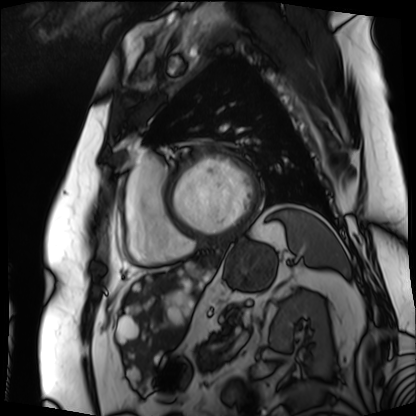
Cardiac MRI.
Subject group: patient.